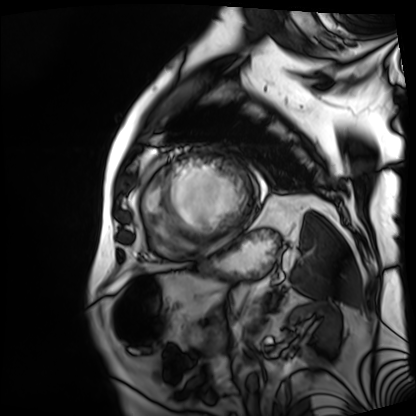
<study>
  <modality>cardiac MRI</modality>
  <cohort>patient</cohort>
</study>